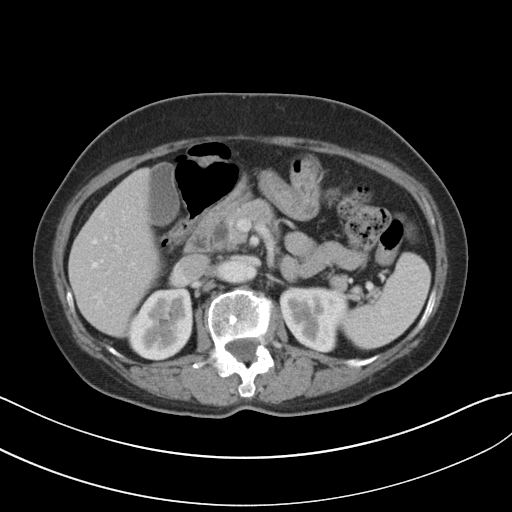
Q: What kind of scan is this?
A: Multiphase abdominal CT, liver, portal venous phase.